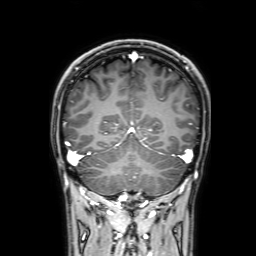
modality: 3 Tesla brain MRI | series: 3D T1-weighted with SENSE | study: ring-enhancing brain masses.